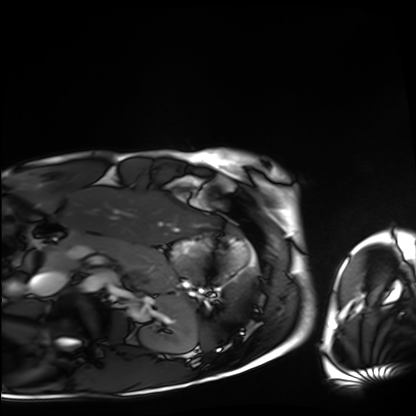
Case:
• modality · cardiac MRI
• subject group · healthy volunteer